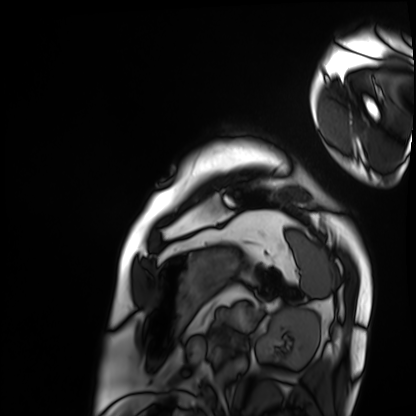
Cardiac MRI.
Subject group: patient.